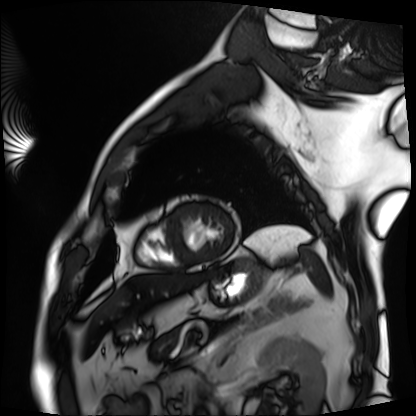
Clinical context:
Cardiac MRI. Subject group: patient.